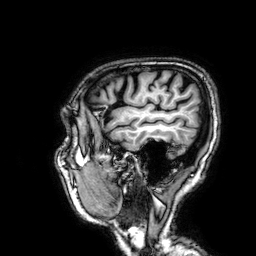
Case summary:
3 Tesla brain MRI. Series: 3D T1-weighted. Study: ring-enhancing brain masses.